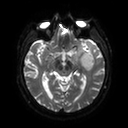
Clinical context:
3 Tesla brain MRI. Series: diffusion tensor imaging (medium iso). Study: ring-enhancing brain masses.